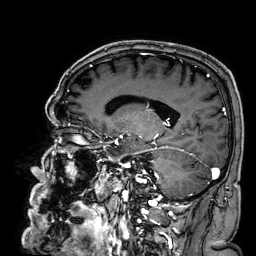
| field | value |
|---|---|
| modality | 3 Tesla brain MRI |
| series | 3D T1-weighted |
| study | ring-enhancing brain masses |